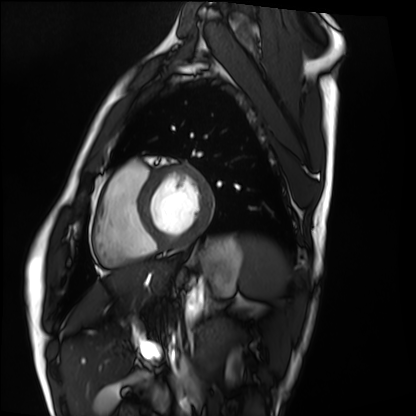
Cardiac MRI.
Subject group: healthy volunteer.